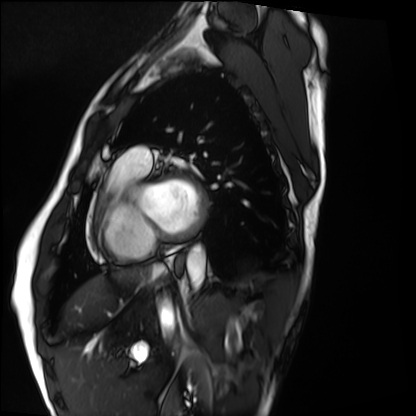
Cardiac MRI. Subject group: healthy volunteer.